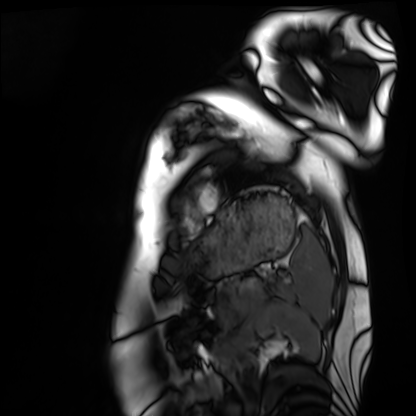
| field | value |
|---|---|
| modality | cardiac MRI |
| subject group | healthy volunteer |